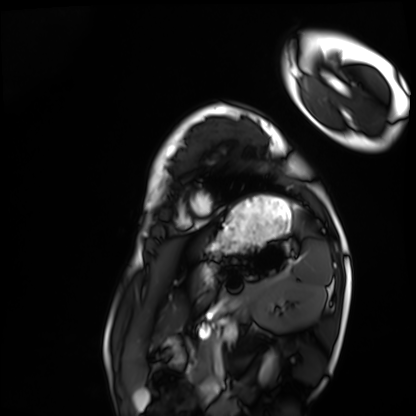
modality = cardiac MRI, subject group = healthy volunteer.